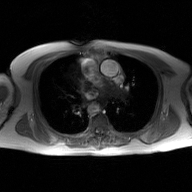
  modality:
    type: 2D phase-contrast cine MRI
    region: ascending aorta
    reconstruction: GAN super-resolution reconstruction